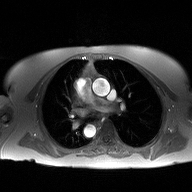
2D phase-contrast cine MRI of the ascending aorta, high-resolution GRAPPA acquisition.